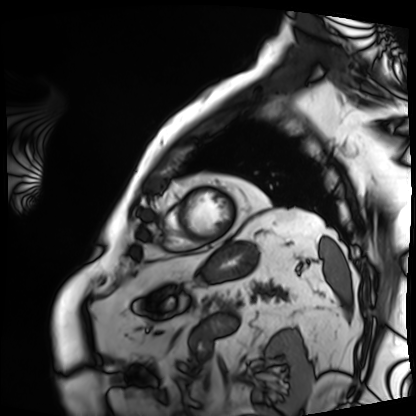
Clinical context: Cardiac MRI. Subject group: patient.